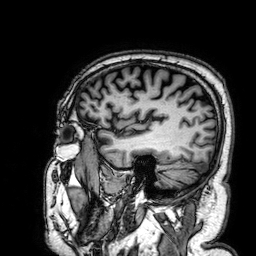
3 Tesla brain MRI.
Series: 3D T1-weighted.
Study: ring-enhancing brain masses.